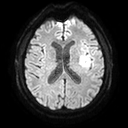
3 Tesla brain MRI.
Study: ring-enhancing brain masses.